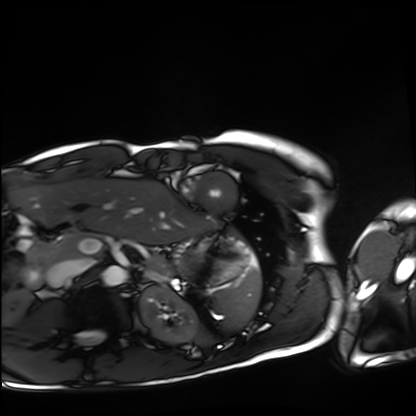
Cardiac MRI.
Subject group: healthy volunteer.